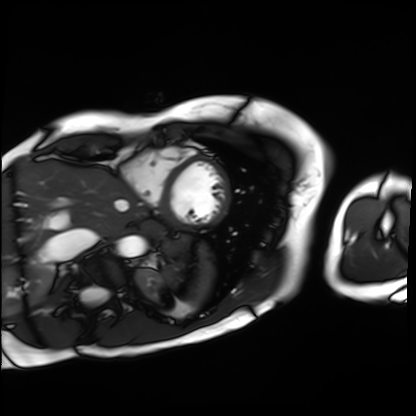
Cardiac MRI.
Subject group: patient.